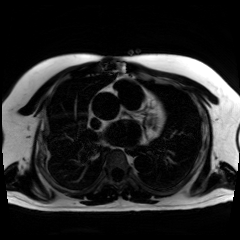
Summary: Chemical-shift-encoded cardiac MRI.